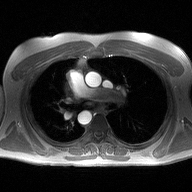
| field | value |
|---|---|
| modality | 2D phase-contrast cine MRI of the ascending aorta |